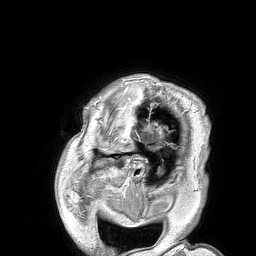
| field | value |
|---|---|
| modality | 3 Tesla brain MRI |
| series | 3D T1-weighted turbo field echo |
| study | ring-enhancing brain masses |